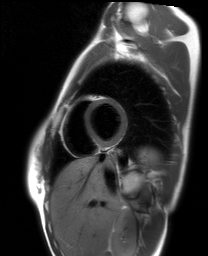
<study>
<modality>cardiac MRI</modality>
<cohort>healthy volunteer</cohort>
</study>